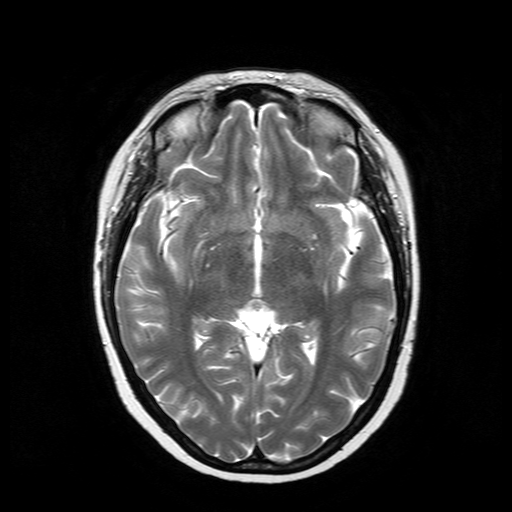
3 Tesla brain MRI. Series: T2-weighted turbo spin echo. Study: ring-enhancing brain masses.